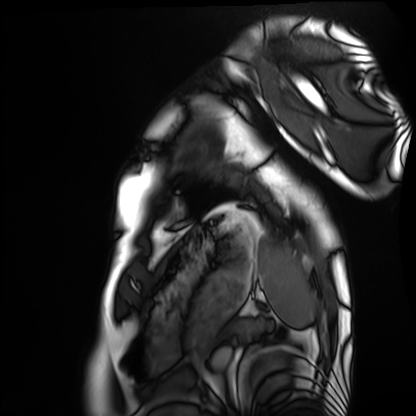
modality: cardiac MRI | subject group: healthy volunteer.